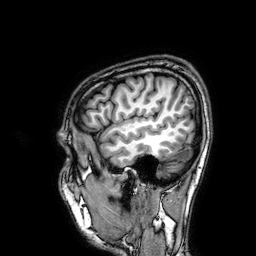
3 Tesla brain MRI.
Series: 3D T1-weighted.
Study: ring-enhancing brain masses.